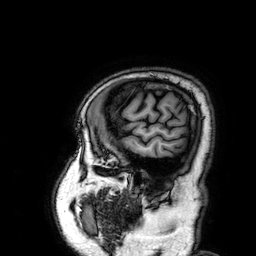
3 Tesla brain MRI. Series: 3D T1-weighted. Study: ring-enhancing brain masses.